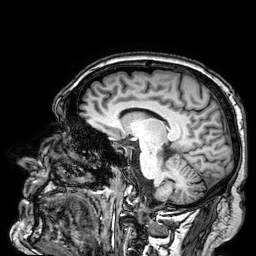
Case:
- modality: 3 Tesla brain MRI
- series: 3D T1-weighted
- study: ring-enhancing brain masses